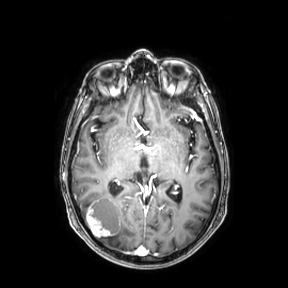
3 Tesla brain MRI.
Series: axial.
Study: ring-enhancing brain masses.